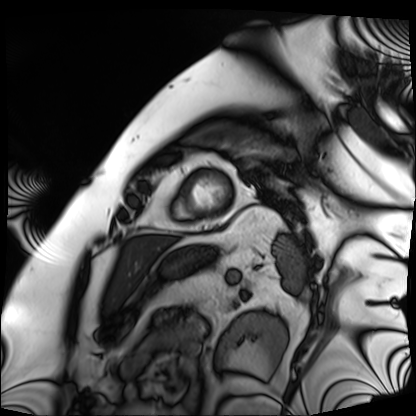
Cardiac MRI. Subject group: patient.